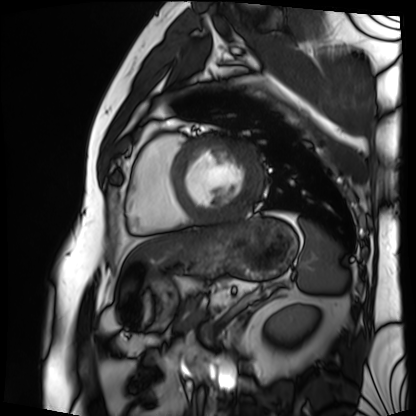
Q: What kind of scan is this?
A: Cardiac MRI.
Subject group: patient.